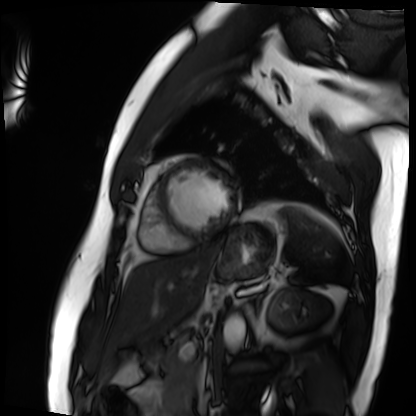
Case summary:
Cardiac MRI. Subject group: patient.